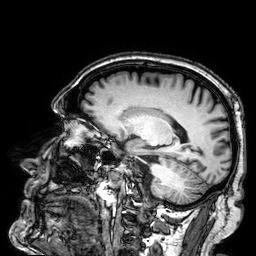
Q: What kind of scan is this?
A: 3 Tesla brain MRI.
Q: Series?
A: 3D T1-weighted.
Study: ring-enhancing brain masses.